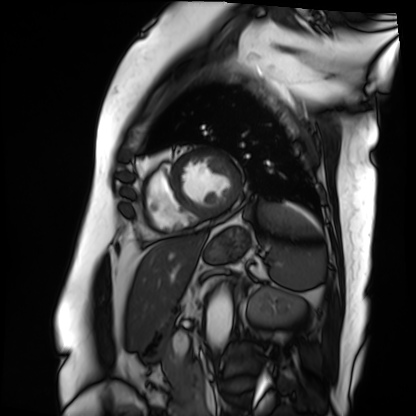
Clinical context: Cardiac MRI. Subject group: patient.